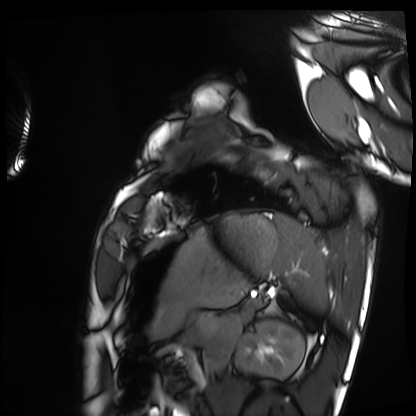
Cardiac MRI.
Subject group: healthy volunteer.